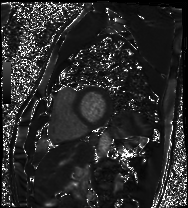
Cardiac MRI. Subject group: patient.